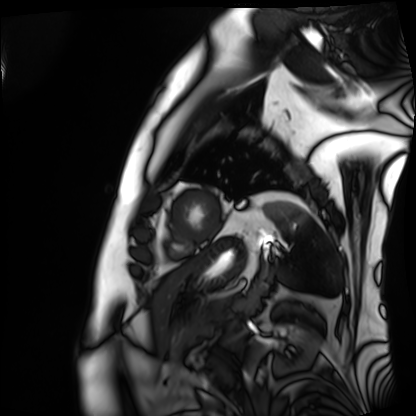
* modality: cardiac MRI
* subject group: patient